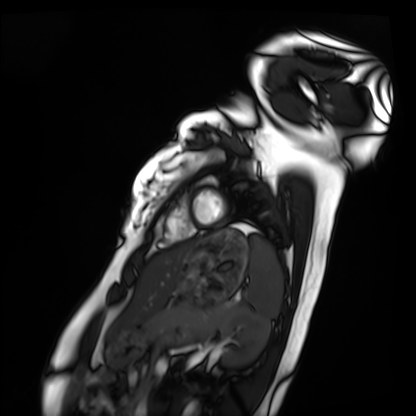
Q: What kind of scan is this?
A: Cardiac MRI.
Subject group: healthy volunteer.